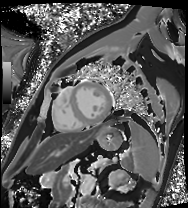
Summary: Cardiac MRI. Subject group: patient.